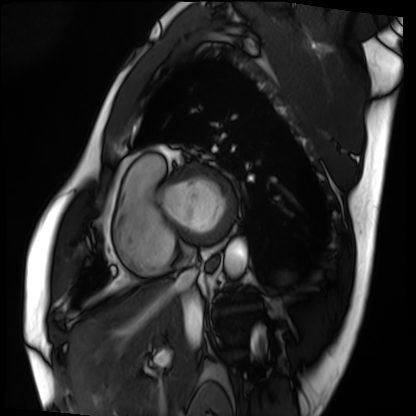
modality=cardiac MRI
subject group=patient